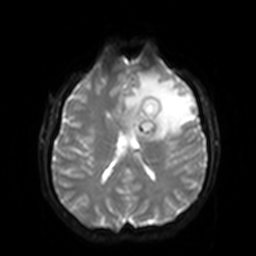
modality = 3 Tesla brain MRI
series = diffusion-weighted imaging with SENSE (WIP)
study = ring-enhancing brain masses